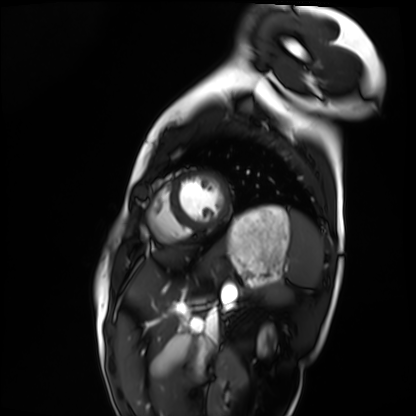
modality: cardiac MRI
subject group: healthy volunteer